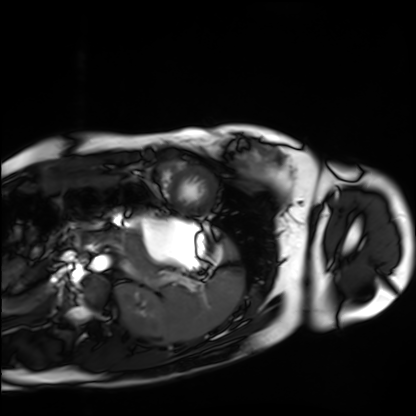
  modality: cardiac MRI
  cohort: healthy volunteer